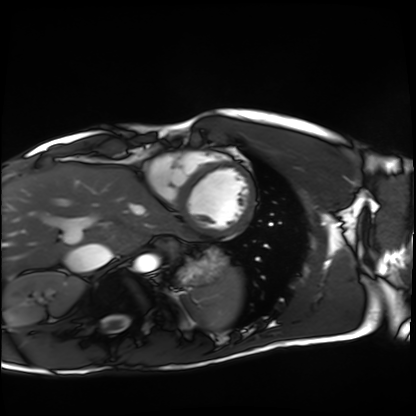
Q: What kind of scan is this?
A: Cardiac MRI.
Subject group: healthy volunteer.